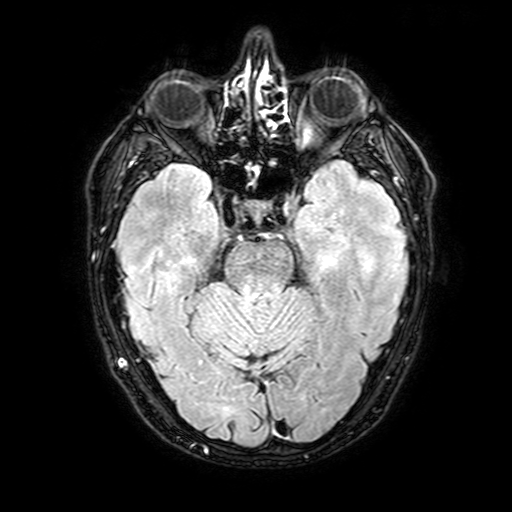
modality = 3 Tesla brain MRI
series = FLAIR with SPAIR, 3 mm
study = ring-enhancing brain masses